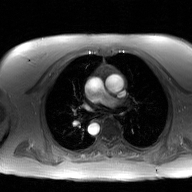
modality — 2D phase-contrast cine MRI of the ascending aorta, GAN super-resolution reconstruction.